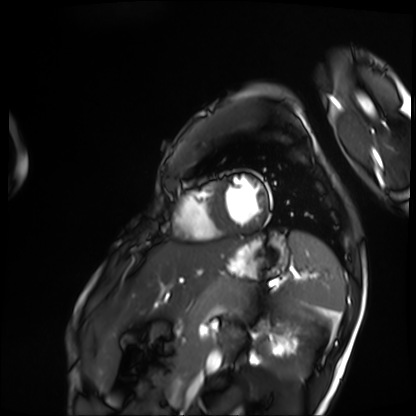
Cardiac MRI. Subject group: patient.